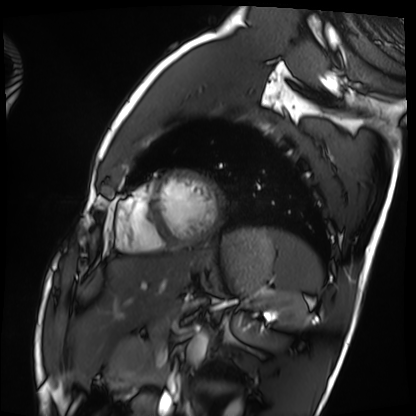
{"modality": "cardiac MRI", "cohort": "healthy volunteer"}